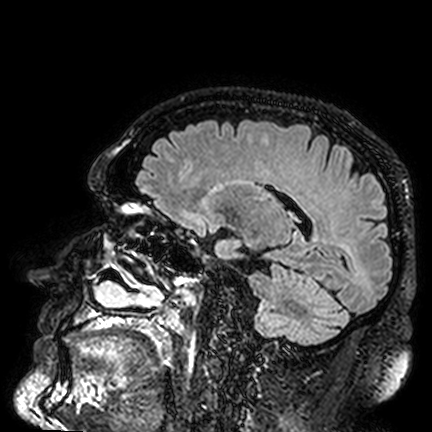
Summary: 3 Tesla brain MRI. Series: FLAIR VISTA. Study: ring-enhancing brain masses.